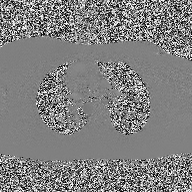
modality = 2D phase-contrast cine MRI of the ascending aorta.